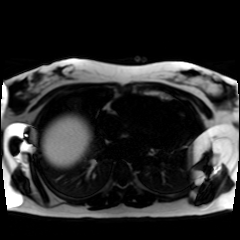
modality = chemical-shift-encoded cardiac MRI.